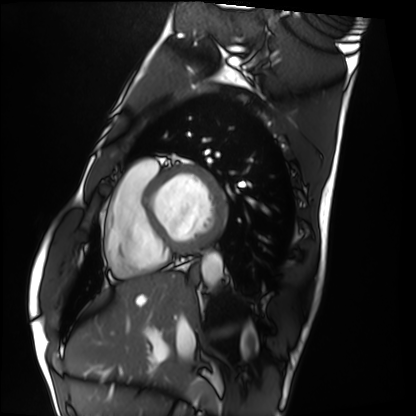
| field | value |
|---|---|
| modality | cardiac MRI |
| subject group | healthy volunteer |